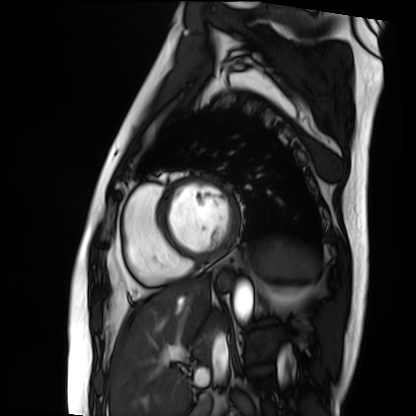
Clinical context:
Cardiac MRI. Subject group: patient.